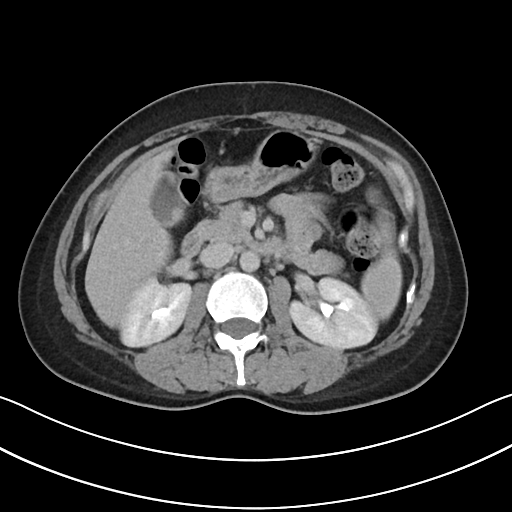
Multiphase abdominal CT, liver, delayed phase.
Patient: female, age 39.
History: prior chemotherapy.